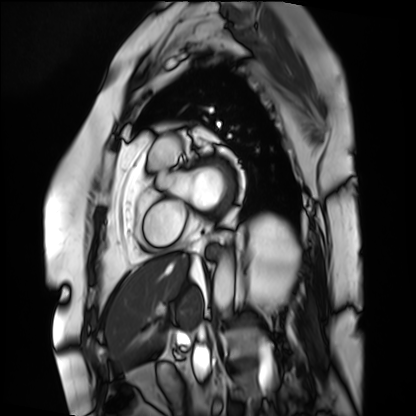
modality: cardiac MRI
subject group: patient